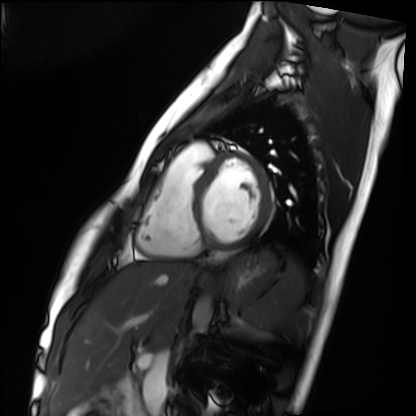
modality — cardiac MRI | subject group — healthy volunteer.